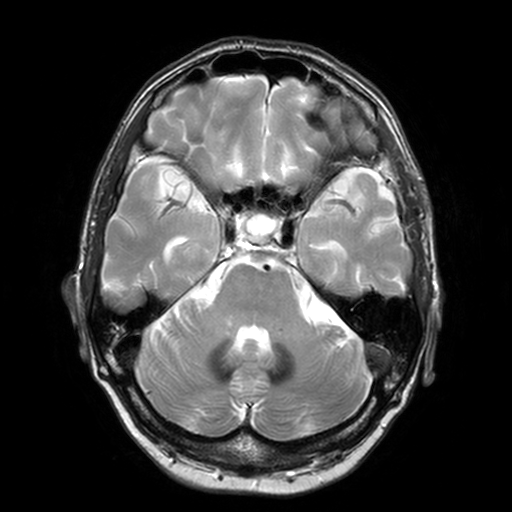
modality:
  type: brain MRI
  field_strength: 3T
study_topic: ring-enhancing brain masses